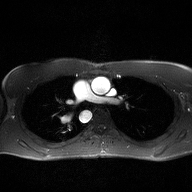
2D phase-contrast cine MRI of the ascending aorta, high-resolution GRAPPA acquisition.